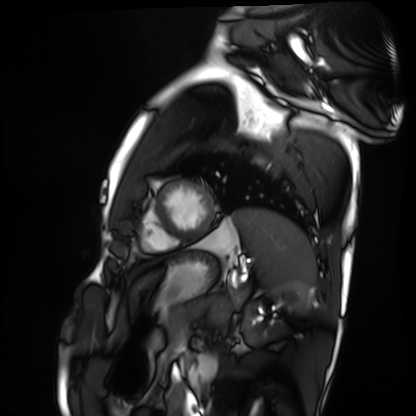
modality = cardiac MRI
subject group = healthy volunteer